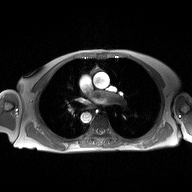
<scan>
  <modality>
    <type>2D phase-contrast cine MRI</type>
    <region>ascending aorta</region>
    <reconstruction>high-resolution GRAPPA acquisition</reconstruction>
  </modality>
</scan>